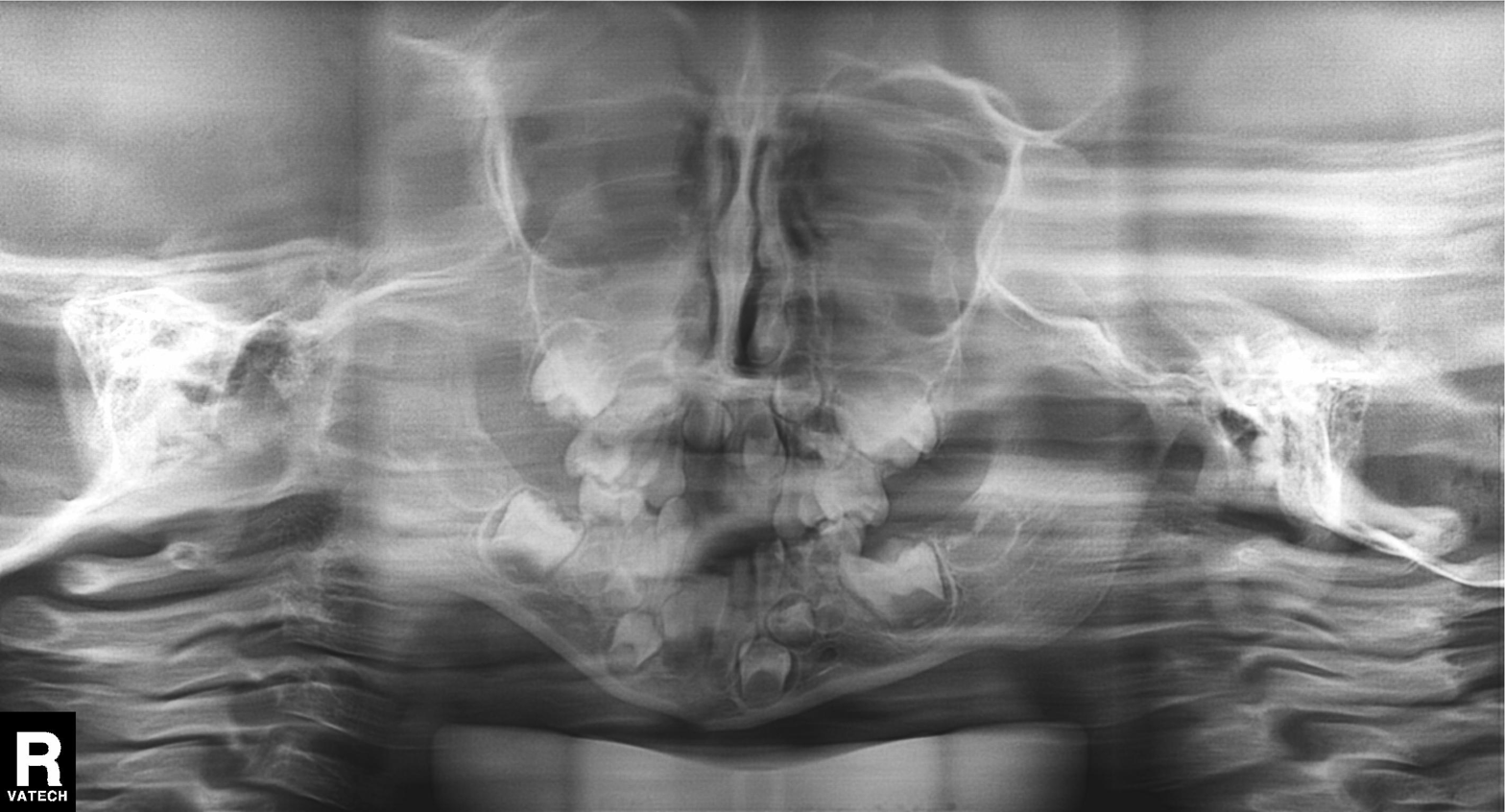
modality = panoramic dental radiograph (orthopantomogram) | finding = alveolar bone loss.